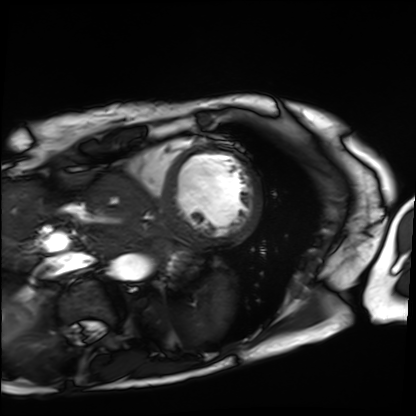
modality — cardiac MRI; subject group — patient.